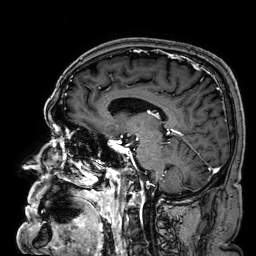
Case summary: 3 Tesla brain MRI. Series: 3D T1-weighted. Study: ring-enhancing brain masses.